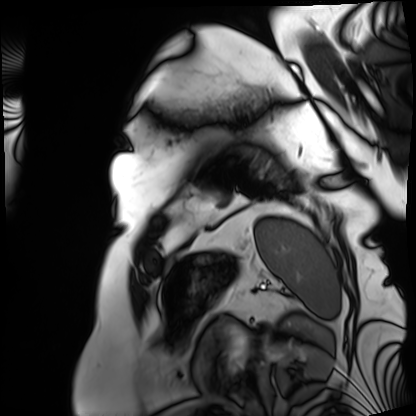
Cardiac MRI.
Subject group: patient.